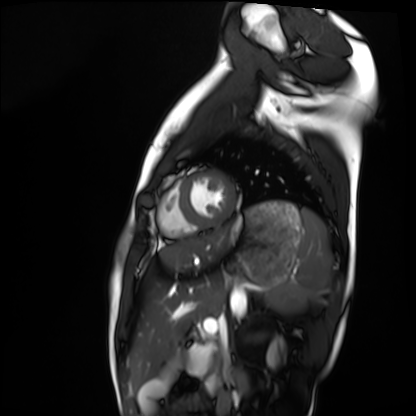
modality: cardiac MRI
cohort: healthy volunteer